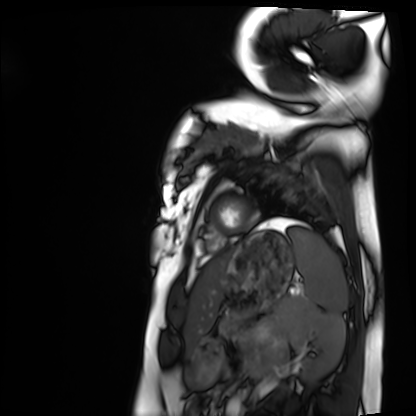
Cardiac MRI. Subject group: healthy volunteer.